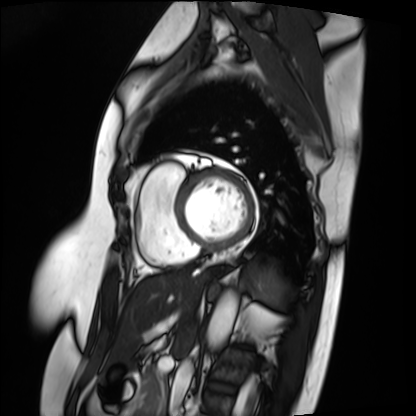
modality = cardiac MRI | subject group = patient.